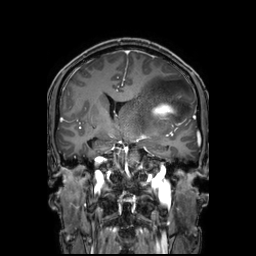
Summary:
3 Tesla brain MRI. Series: 3D T1-weighted TFE with SENSE. Study: ring-enhancing brain masses.